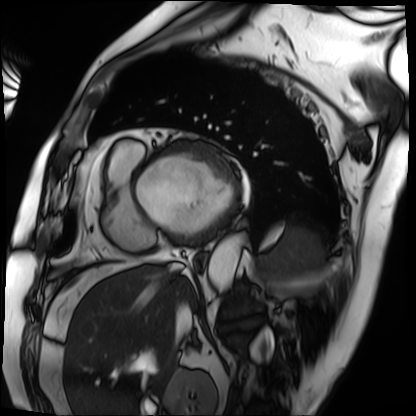
Cardiac MRI. Subject group: patient.